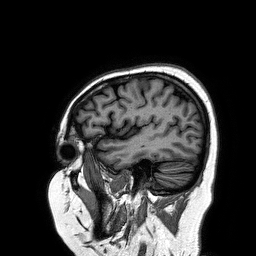
3 Tesla brain MRI. Series: 3D T1-weighted turbo field echo. Study: ring-enhancing brain masses.